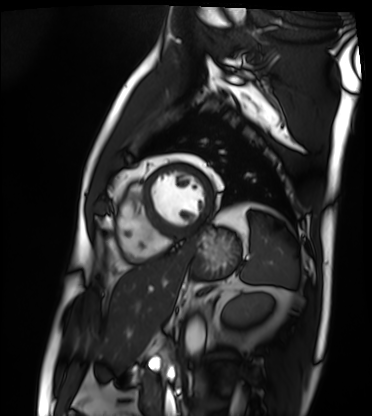
Summary: Cardiac MRI. Subject group: patient.